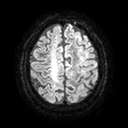
Q: What kind of scan is this?
A: 3 Tesla brain MRI.
Q: Series?
A: Diffusion tensor imaging (medium iso).
Study: ring-enhancing brain masses.